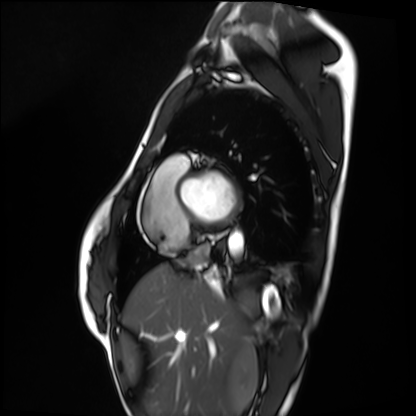
{
  "modality": "cardiac MRI",
  "cohort": "healthy volunteer"
}